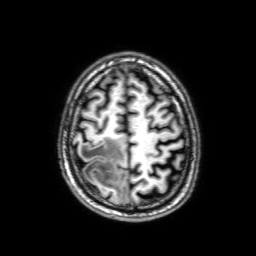
Case summary: 3 Tesla brain MRI. Study: ring-enhancing brain masses.